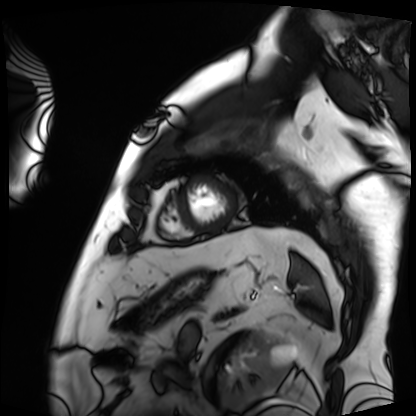
modality — cardiac MRI | subject group — patient.